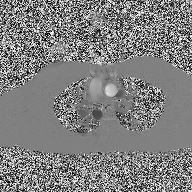
2D phase-contrast cine MRI of the ascending aorta, high-resolution GRAPPA acquisition.